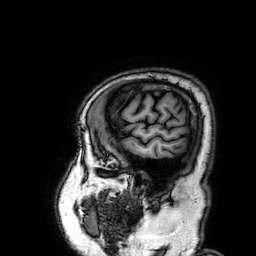
Case summary: 3 Tesla brain MRI. Study: ring-enhancing brain masses.